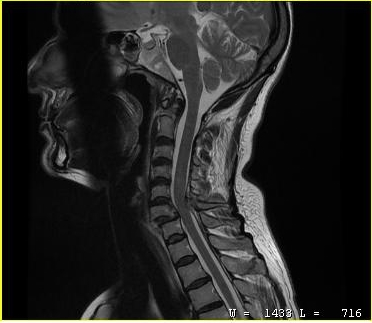
  modality:
    type: cervical spine MRI
  study_topic: cervical spondylosis